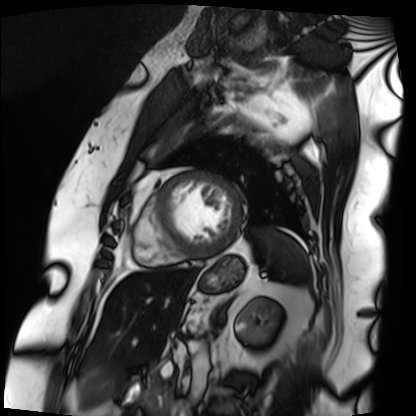
modality=cardiac MRI; subject group=patient.